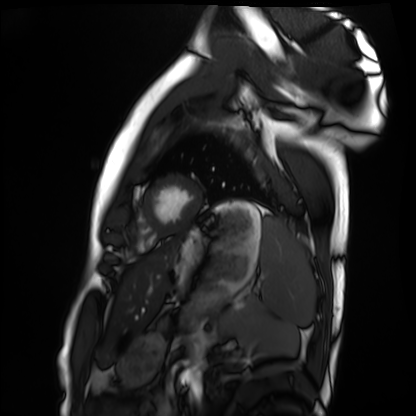
Summary: Cardiac MRI. Subject group: healthy volunteer.